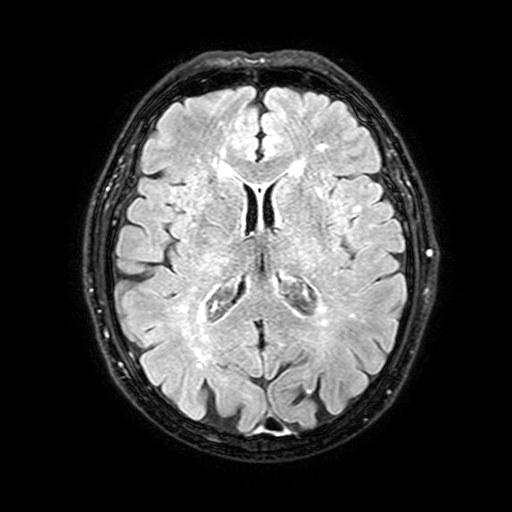
3 Tesla brain MRI. Series: FLAIR with SPAIR, 3 mm. Study: ring-enhancing brain masses.